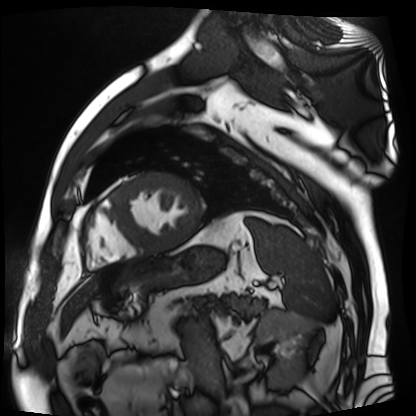
Cardiac MR image of the myocardium. Subject cohort: cardiac patient.